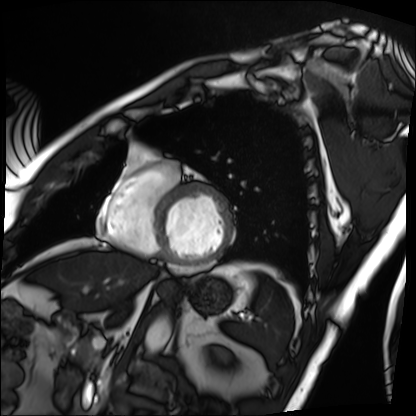
Cardiac MRI.
Subject group: patient.